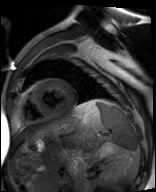
modality: cardiac MR image of the myocardium; subject cohort: cardiac patient.